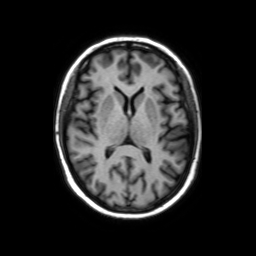
3 Tesla brain MRI. Series: axial without contrast. Study: ring-enhancing brain masses.